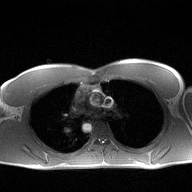
2D phase-contrast cine MRI of the ascending aorta, high-resolution GRAPPA acquisition.